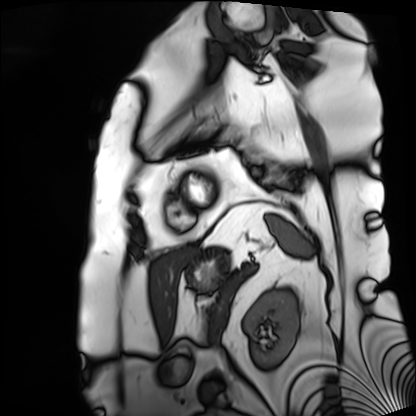
Cardiac MRI.
Subject group: patient.